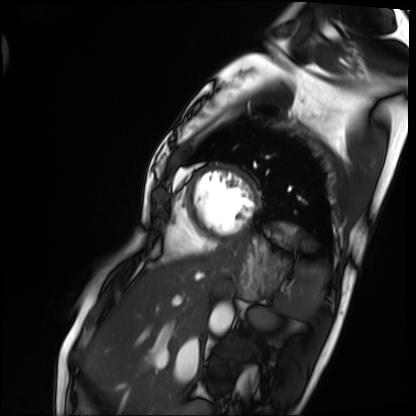
modality: cardiac MRI, subject group: patient.